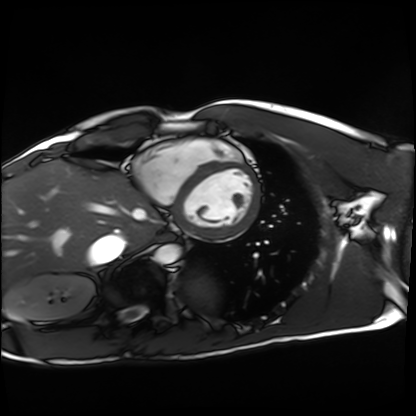
{"modality": "cardiac MRI", "cohort": "healthy volunteer"}